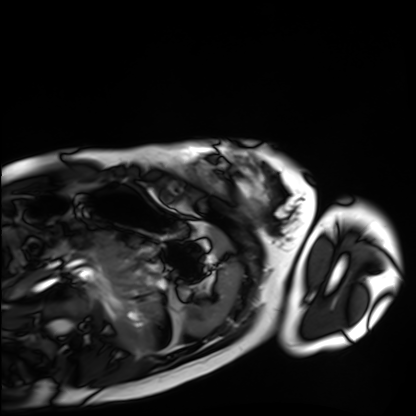
• modality · cardiac MRI
• subject group · healthy volunteer